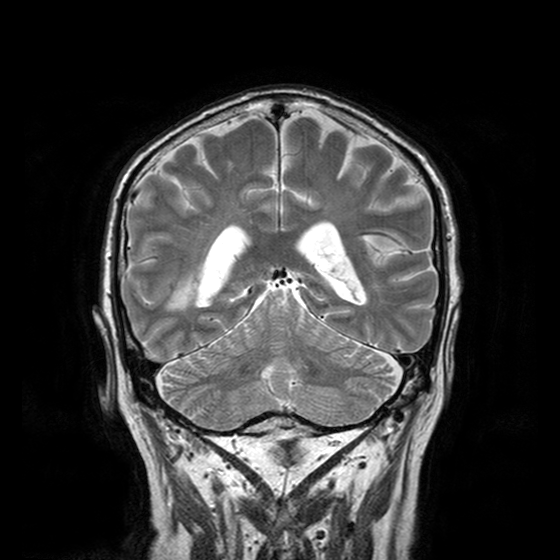
modality: 3 Tesla brain MRI | series: T2-weighted turbo spin echo with CLEAR | study: ring-enhancing brain masses.